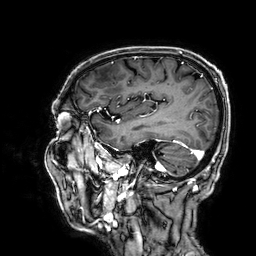
3 Tesla brain MRI. Series: 3D T1-weighted. Study: ring-enhancing brain masses.